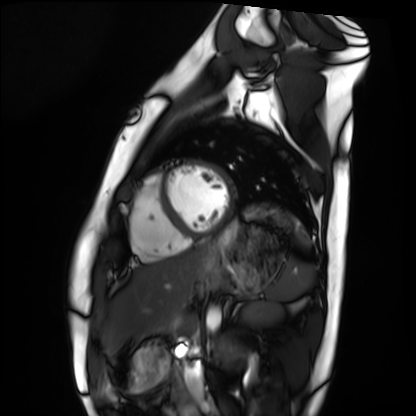
Case:
• modality — cardiac MRI
• subject group — healthy volunteer